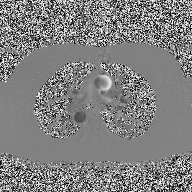
* modality · 2D phase-contrast cine MRI of the ascending aorta